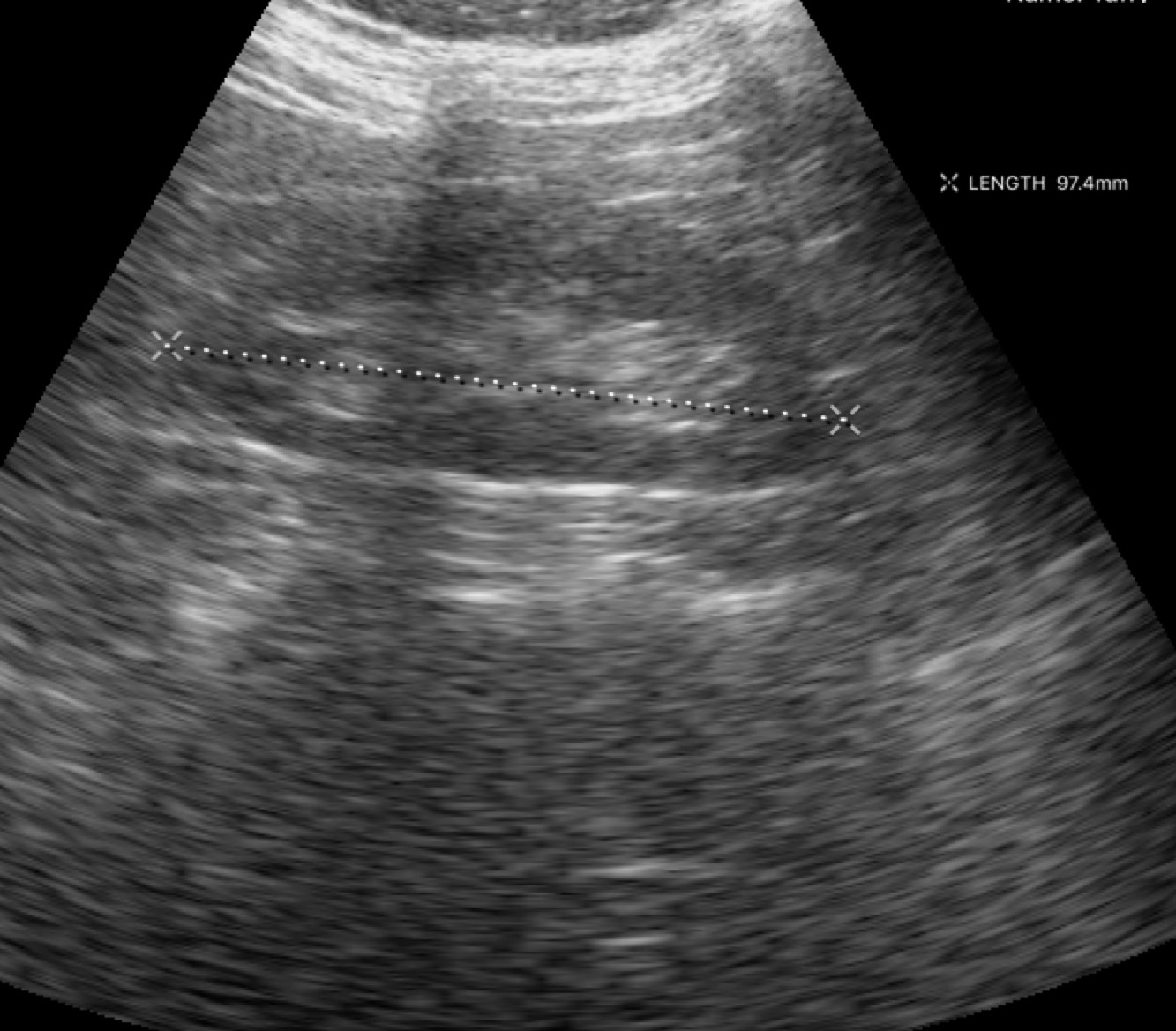
Case summary:
Genitourinary ultrasound.